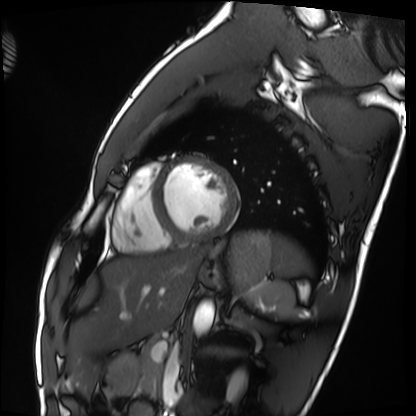
<scan>
<modality>cardiac MRI</modality>
<cohort>healthy volunteer</cohort>
</scan>